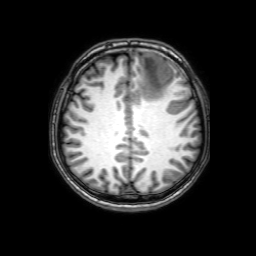
Summary:
3 Tesla brain MRI. Series: 3D T1-weighted with SENSE. Study: ring-enhancing brain masses.